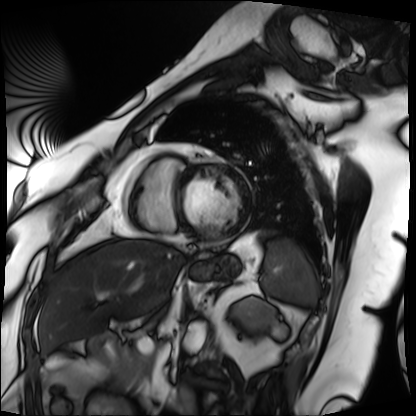
Case:
* modality: cardiac MRI
* subject group: patient